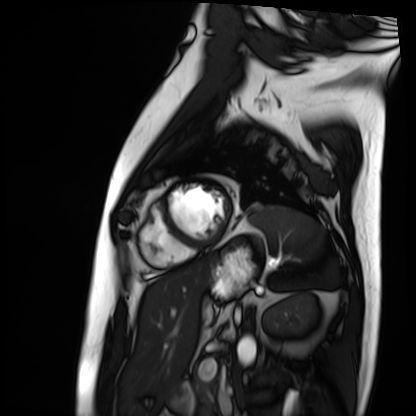
Cardiac MRI.
Subject group: patient.